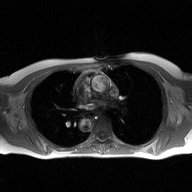
| field | value |
|---|---|
| modality | 2D phase-contrast cine MRI of the ascending aorta |